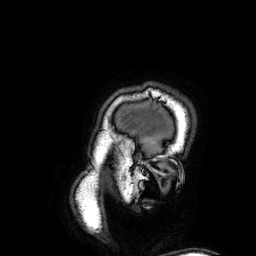
3 Tesla brain MRI. Series: 3D T1-weighted. Study: ring-enhancing brain masses.